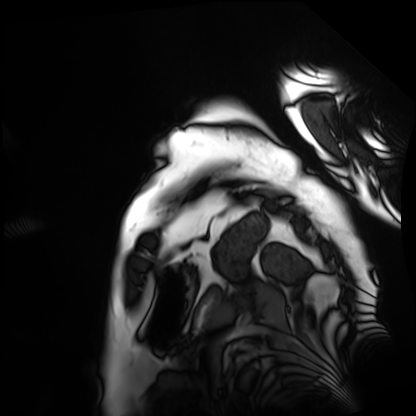
Summary:
Cardiac MRI. Subject group: patient.